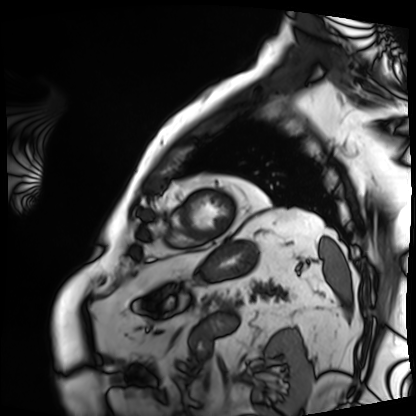
Clinical context: Cardiac MRI. Subject group: patient.